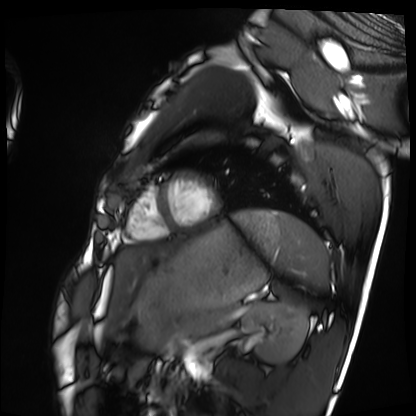
Cardiac MRI.
Subject group: healthy volunteer.